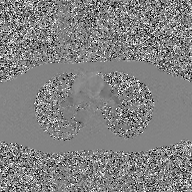
{"modality": {"type": "2D phase-contrast cine MRI", "region": "ascending aorta", "reconstruction": "GAN super-resolution reconstruction"}}